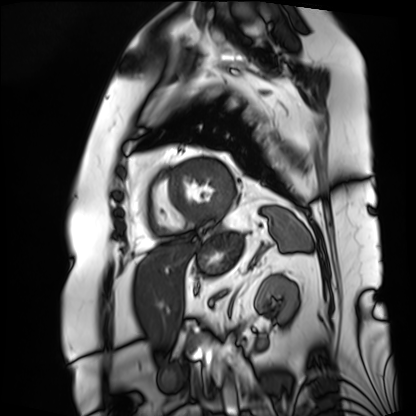
modality: cardiac MRI | subject group: patient.